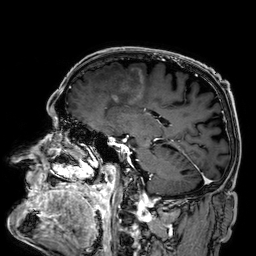
modality: 3 Tesla brain MRI; series: 3D T1-weighted; study: ring-enhancing brain masses.